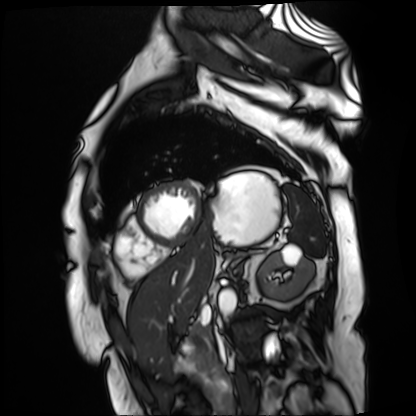
Cardiac MR image of the myocardium. Subject cohort: cardiac patient.